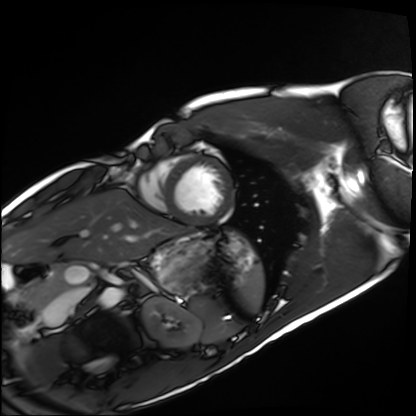
Case:
• modality · cardiac MRI
• subject group · healthy volunteer